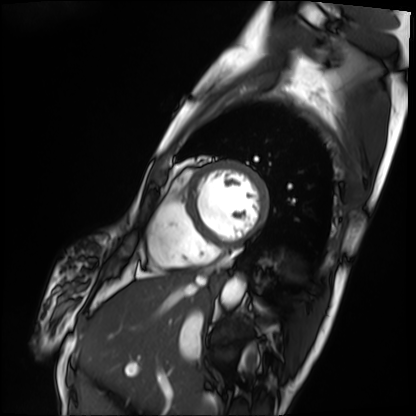
Summary:
Cardiac MRI. Subject group: patient.